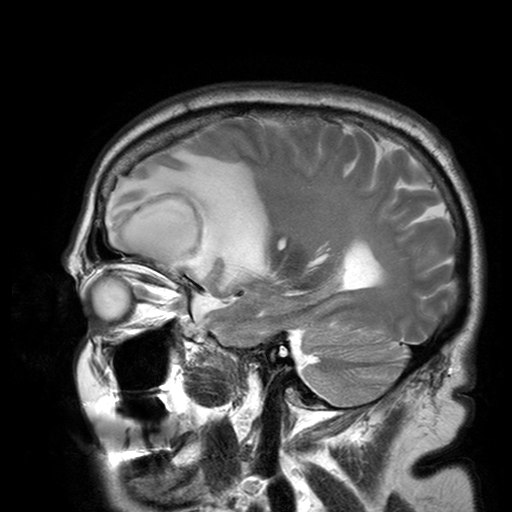
3 Tesla brain MRI. Series: T2-weighted turbo spin echo with SENSE. Study: ring-enhancing brain masses.